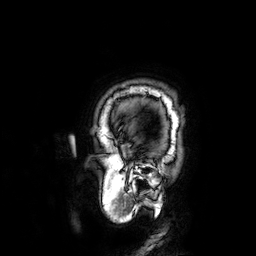
Summary:
3 Tesla brain MRI. Study: ring-enhancing brain masses.